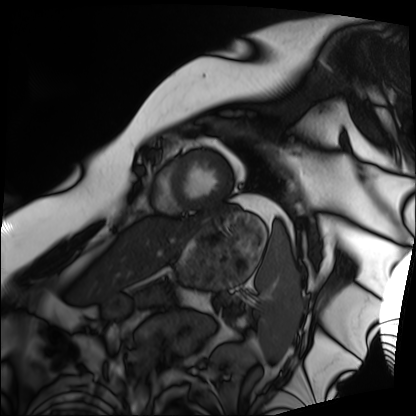
modality: cardiac MRI, subject group: patient.